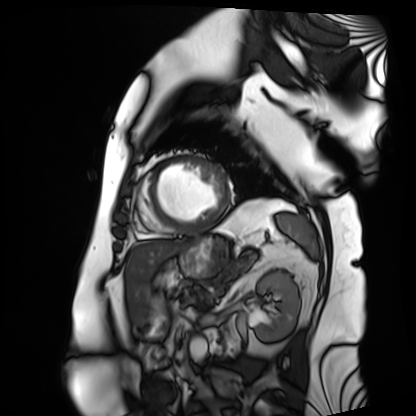
Summary: Cardiac MRI. Subject group: patient.